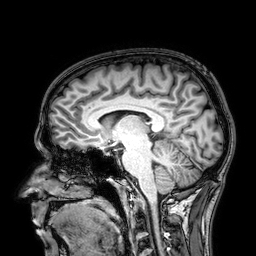
Case:
- modality: 3 Tesla brain MRI
- series: 3D T1-weighted
- study: ring-enhancing brain masses